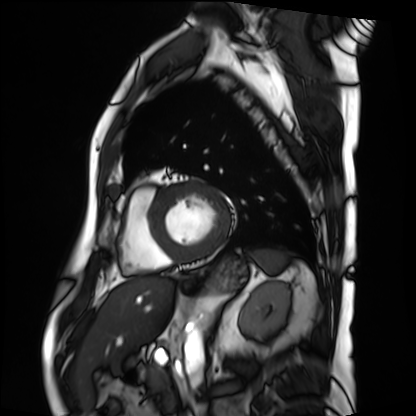
Cardiac MRI.
Subject group: patient.